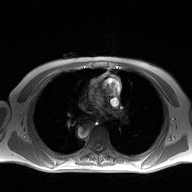
2D phase-contrast cine MRI of the ascending aorta, high-resolution GRAPPA acquisition.